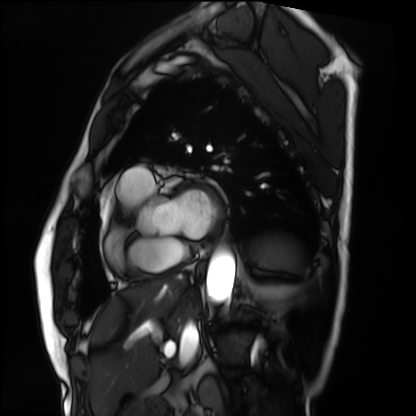
Summary:
Cardiac MRI. Subject group: patient.